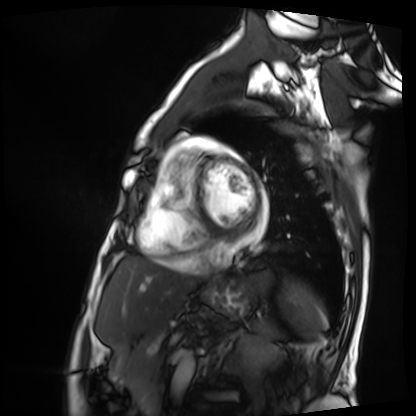
Summary:
Cardiac MRI. Subject group: patient.